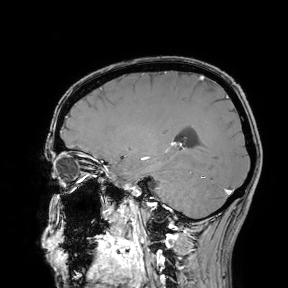
3 Tesla brain MRI.
Study: ring-enhancing brain masses.